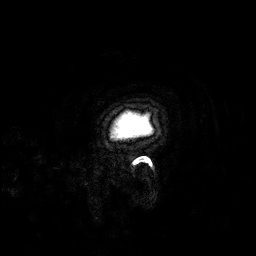
modality = 3 Tesla brain MRI
series = 3D T1-weighted
study = ring-enhancing brain masses